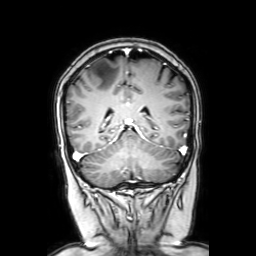
3 Tesla brain MRI.
Series: coronal with contrast.
Study: ring-enhancing brain masses.